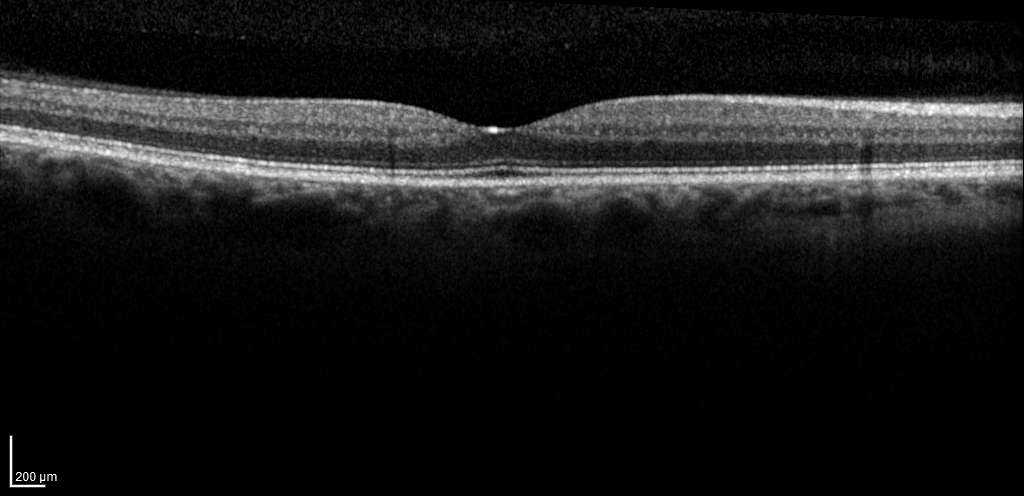
Spectral-domain optical coherence tomography (SD-OCT) of the macula. Subject: male, age 55, right eye. Cohort: diabetic subject. ETDRS-grid retinal thickness (μm): central 277, inner temporal 311, inner nasal 329, inner superior 325, inner inferior 307, outer temporal 266, outer nasal 287, outer superior 295, outer inferior 267.